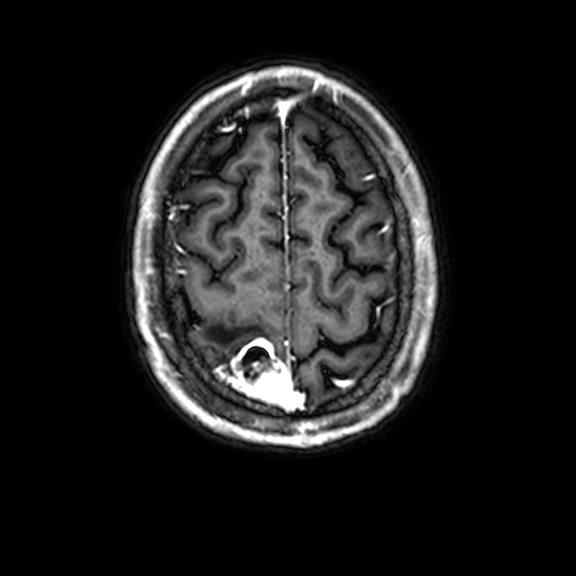
modality — 3 Tesla brain MRI | series — 3D T1-weighted with CLEAR | study — ring-enhancing brain masses.